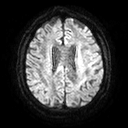
<case>
<modality>
  <type>brain MRI</type>
  <field_strength>3T</field_strength>
</modality>
<series>diffusion tensor imaging (medium iso)</series>
<study_topic>ring-enhancing brain masses</study_topic>
</case>